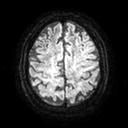
* modality — 3 Tesla brain MRI
* series — diffusion tensor imaging (medium iso)
* study — ring-enhancing brain masses